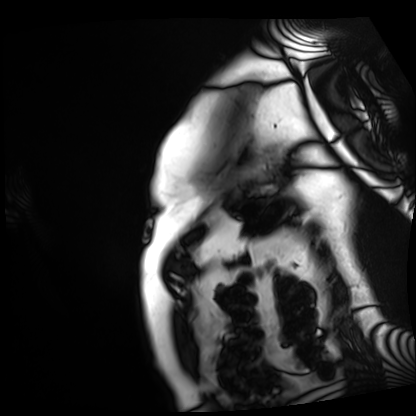
Summary:
Cardiac MRI. Subject group: patient.